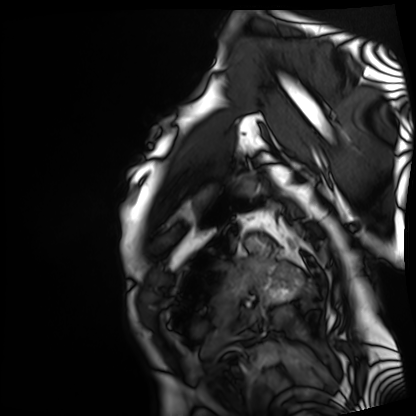
Cardiac MRI.
Subject group: patient.